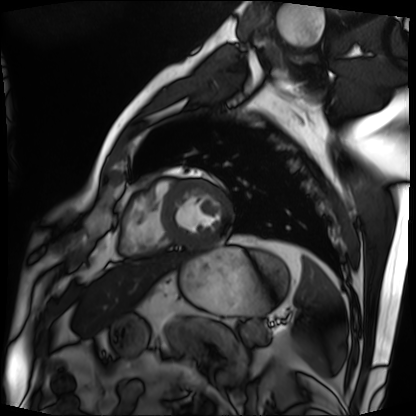
modality = cardiac MRI; subject group = patient.